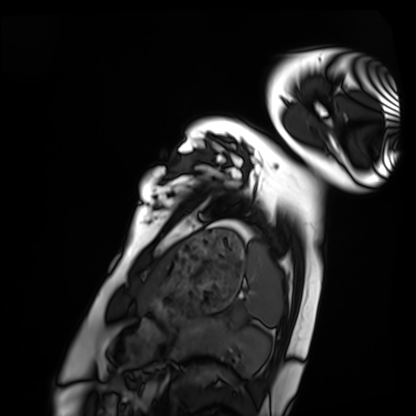
Summary: Cardiac MRI. Subject group: healthy volunteer.